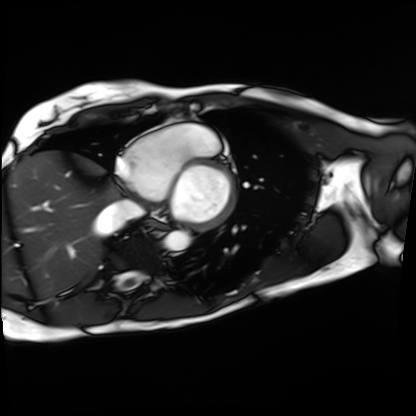
  modality: cardiac MRI
  cohort: patient